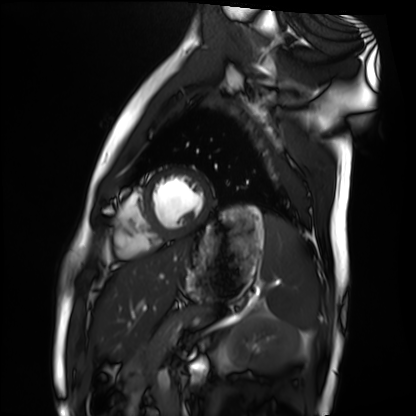
Cardiac MRI.
Subject group: healthy volunteer.